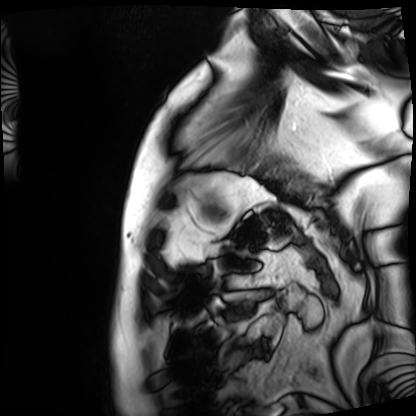
modality = cardiac MRI, subject group = patient.